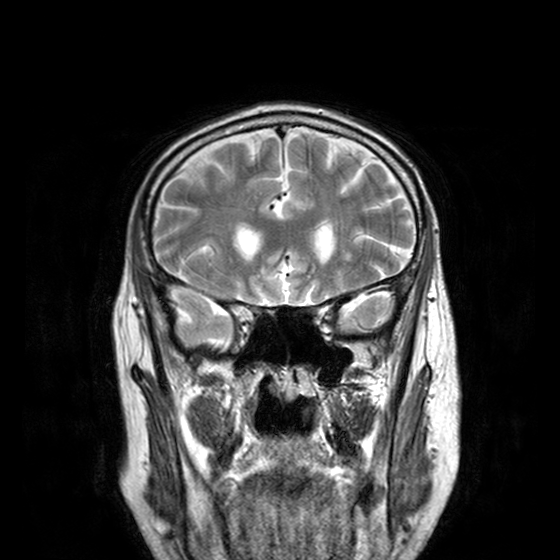
Q: What kind of scan is this?
A: 3 Tesla brain MRI.
Q: Series?
A: T2-weighted turbo spin echo with CLEAR.
Study: ring-enhancing brain masses.